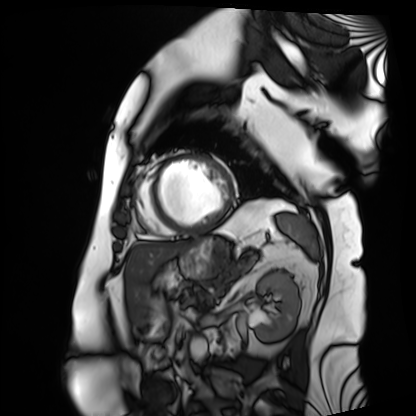
Summary: Cardiac MRI. Subject group: patient.